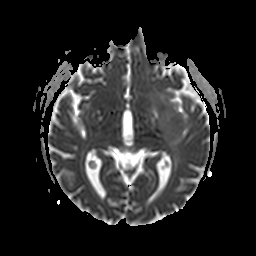
| field | value |
|---|---|
| modality | 3 Tesla brain MRI |
| study | ring-enhancing brain masses |